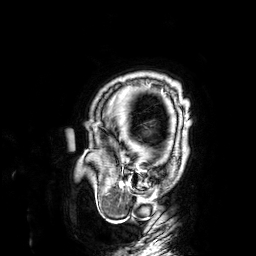
modality: 3 Tesla brain MRI | series: 3D T1-weighted | study: ring-enhancing brain masses.